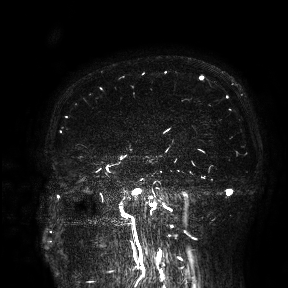
Case summary:
3 Tesla brain MRI. Study: ring-enhancing brain masses.